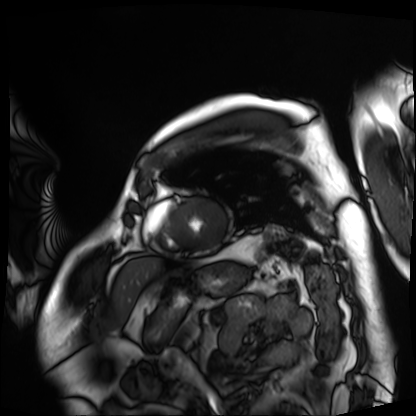
| field | value |
|---|---|
| modality | cardiac MRI |
| subject group | patient |